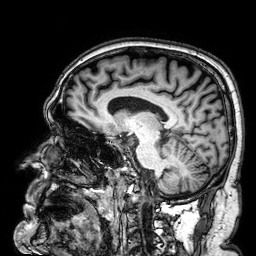
modality:
  type: brain MRI
  field_strength: 3T
series: 3D T1-weighted
study_topic: ring-enhancing brain masses